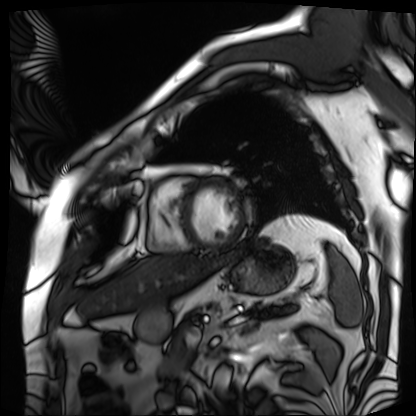
Cardiac MRI.
Subject group: patient.